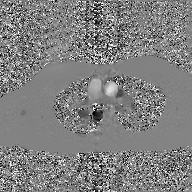
Q: What kind of scan is this?
A: 2D phase-contrast cine MRI of the ascending aorta, GAN super-resolution reconstruction.